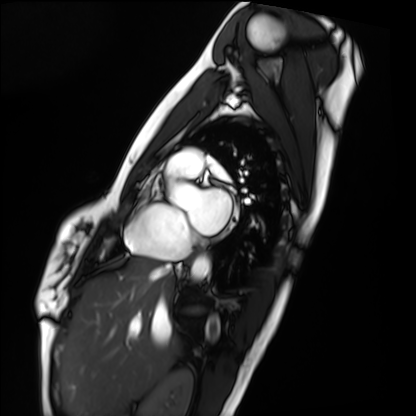
  modality: cardiac MRI
  cohort: healthy volunteer